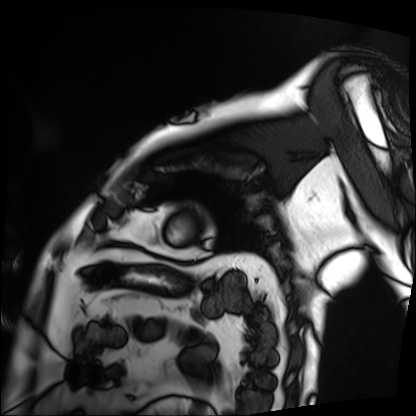
Cardiac MRI. Subject group: patient.